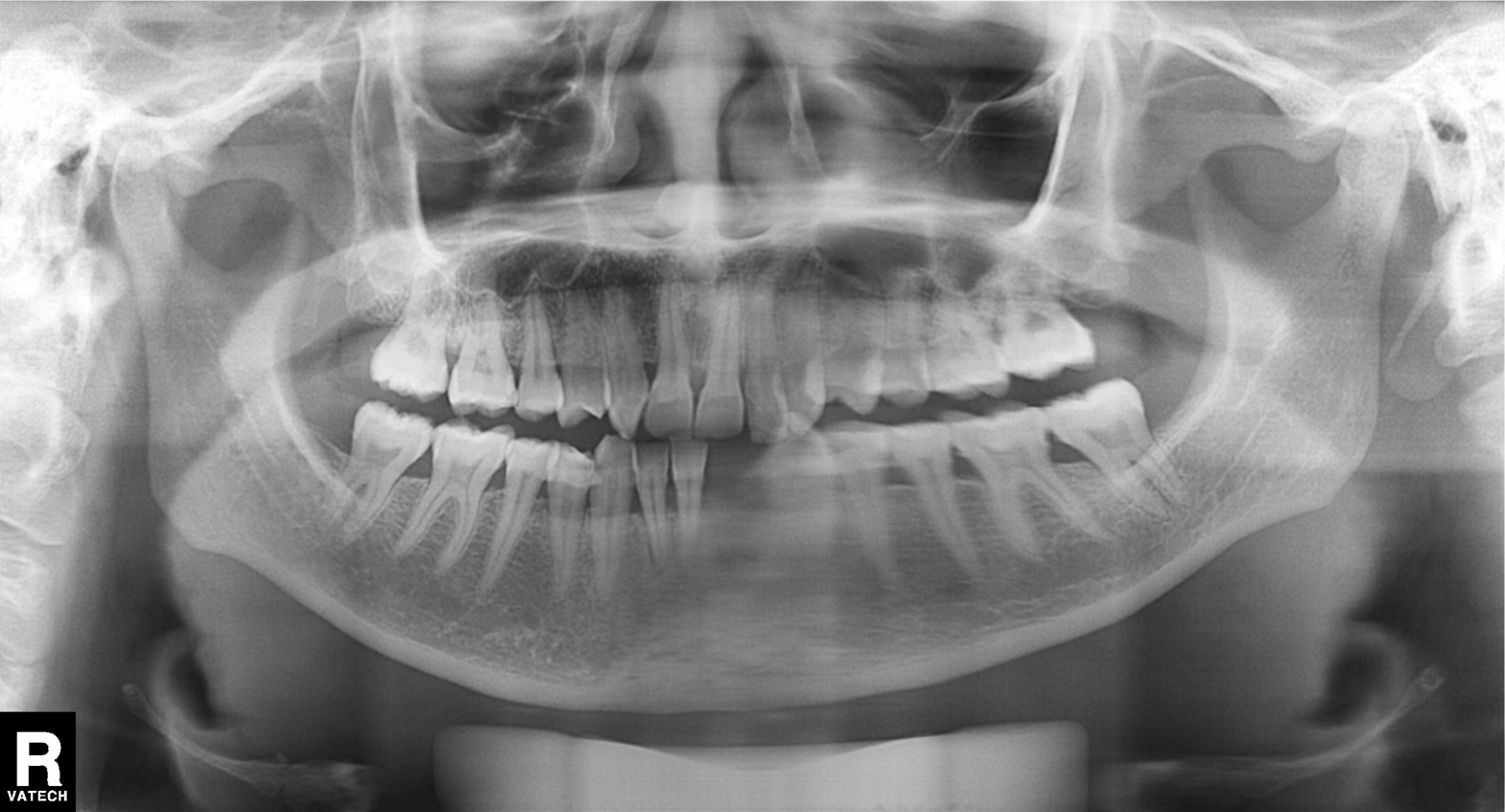
{
  "modality": "panoramic dental radiograph (orthopantomogram)",
  "finding": "alveolar bone loss"
}